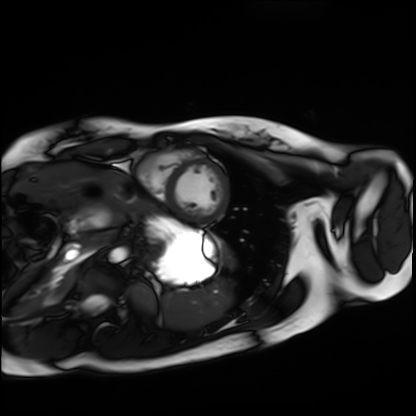
{"modality": "cardiac MRI", "cohort": "healthy volunteer"}